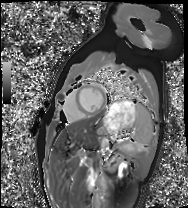
modality: cardiac MRI, subject group: healthy volunteer.